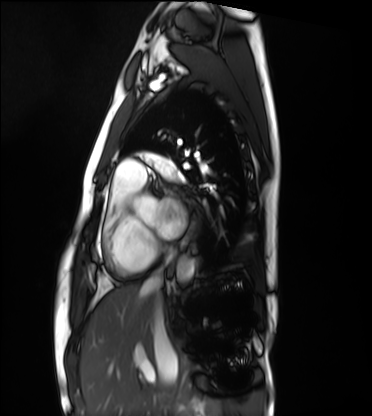
Cardiac MRI. Subject group: healthy volunteer.